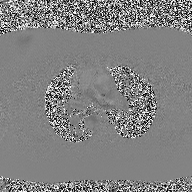
Summary: 2D phase-contrast cine MRI of the ascending aorta, high-resolution GRAPPA acquisition.